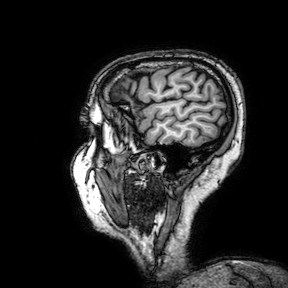
3 Tesla brain MRI. Series: 3D T1-weighted turbo field echo with SENSE. Study: ring-enhancing brain masses.